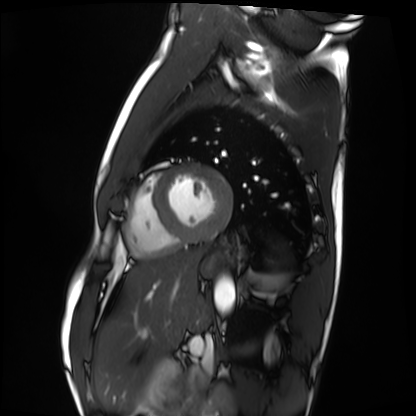
Cardiac MRI. Subject group: healthy volunteer.